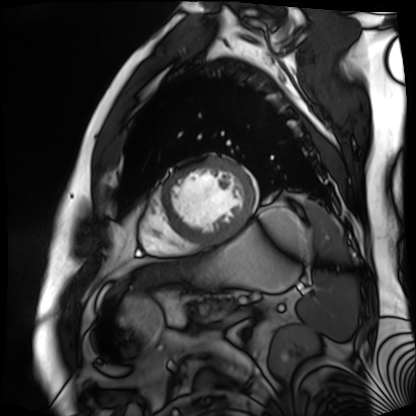
Cardiac MR image of the myocardium.
Subject cohort: cardiac patient.